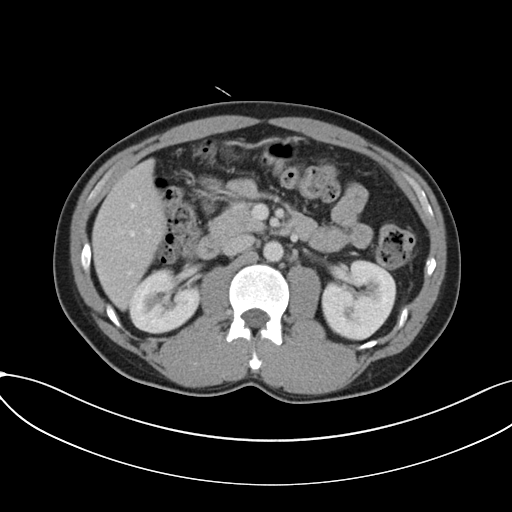
modality: multiphase abdominal CT, liver, portal venous phase
patient: male, age 36